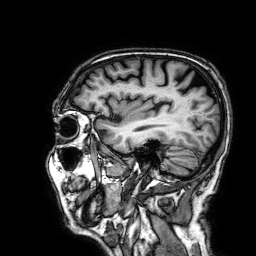
modality = 3 Tesla brain MRI; series = 3D T1-weighted; study = ring-enhancing brain masses.